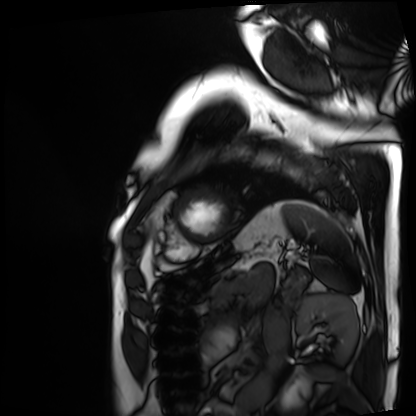
Summary:
Cardiac MRI. Subject group: patient.